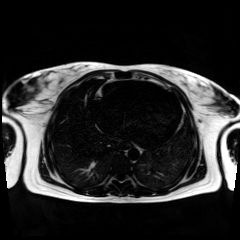
modality: chemical-shift-encoded cardiac MRI.